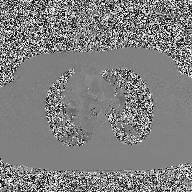
• modality: 2D phase-contrast cine MRI of the ascending aorta